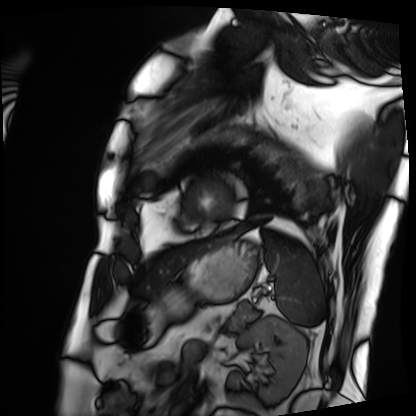
Cardiac MRI. Subject group: patient.